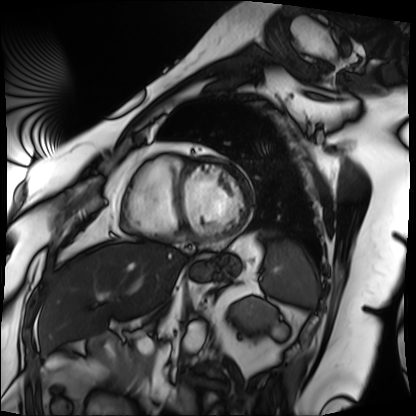
Cardiac MRI. Subject group: patient.